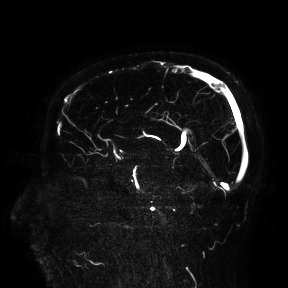
modality: 3 Tesla brain MRI | study: ring-enhancing brain masses.